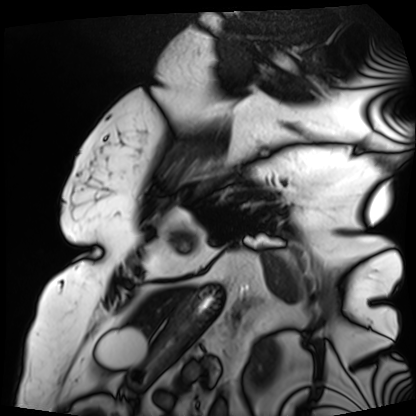
modality=cardiac MRI; subject group=patient.